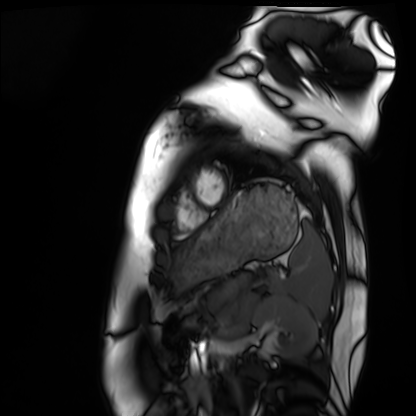
modality: cardiac MRI, subject group: healthy volunteer.